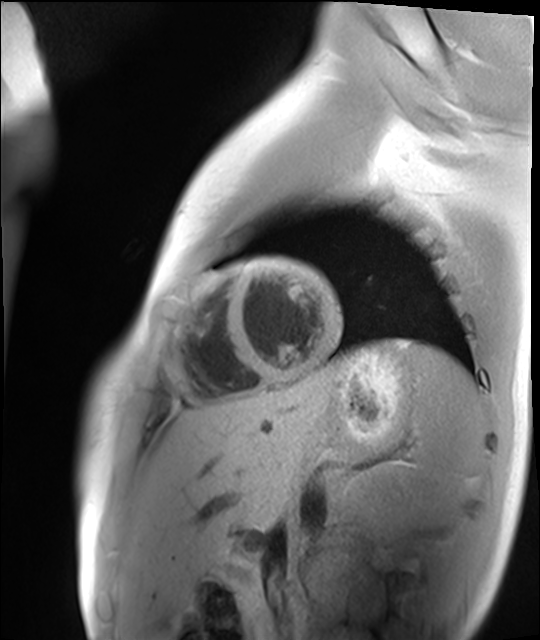
Case:
– modality: cardiac MR image of the myocardium
– subject cohort: healthy volunteer